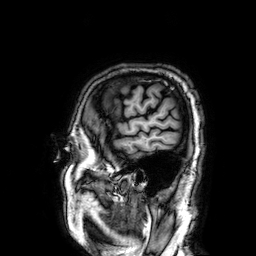
modality:
  type: brain MRI
  field_strength: 3T
series: 3D T1-weighted
study_topic: ring-enhancing brain masses